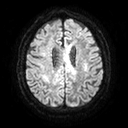
Summary:
3 Tesla brain MRI. Series: diffusion tensor imaging (medium iso). Study: ring-enhancing brain masses.